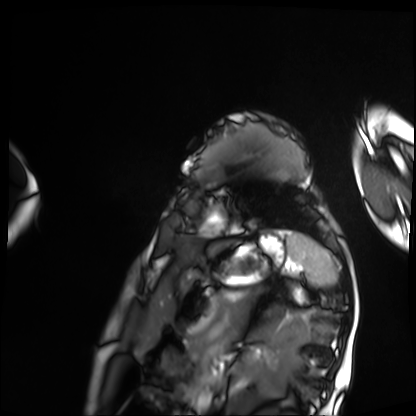
Q: What kind of scan is this?
A: Cardiac MRI.
Subject group: patient.